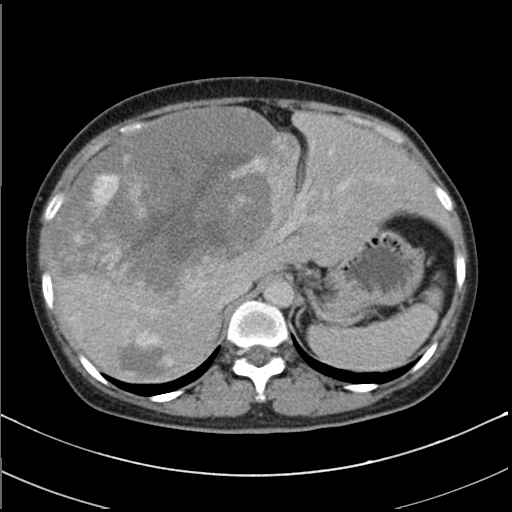
Multiphase abdominal CT, liver, delayed phase. Patient: female, age 48.